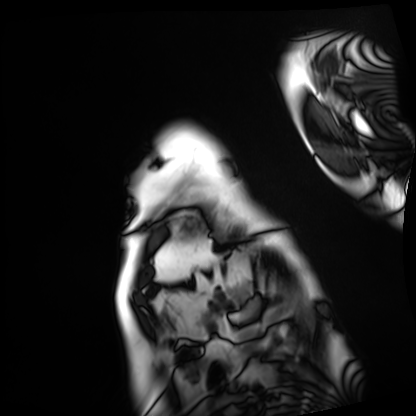
| field | value |
|---|---|
| modality | cardiac MRI |
| subject group | patient |